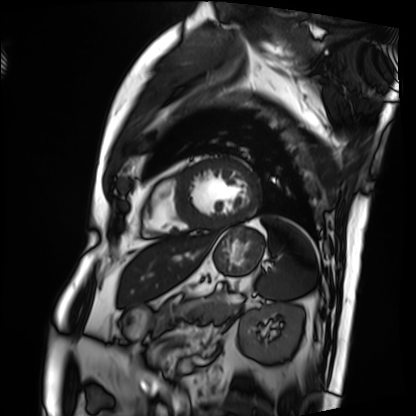
Cardiac MRI. Subject group: patient.